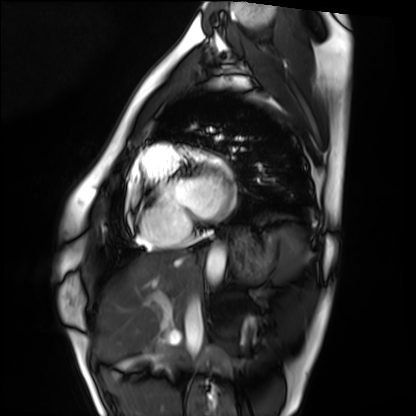
Case:
- modality: cardiac MRI
- subject group: healthy volunteer